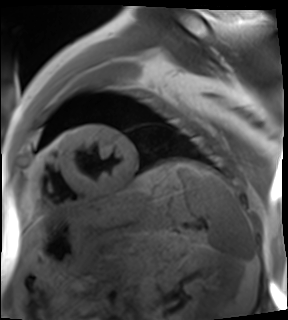
Clinical context:
Cardiac MR image of the myocardium. Subject cohort: cardiac patient.